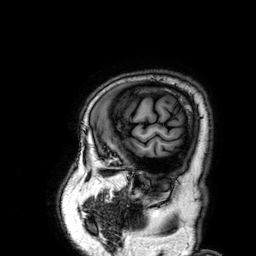
modality:
  type: brain MRI
  field_strength: 3T
study_topic: ring-enhancing brain masses